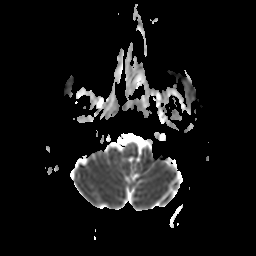
modality:
  type: brain MRI
  field_strength: 3T
series: apparent diffusion coefficient (ADC) map
study_topic: ring-enhancing brain masses